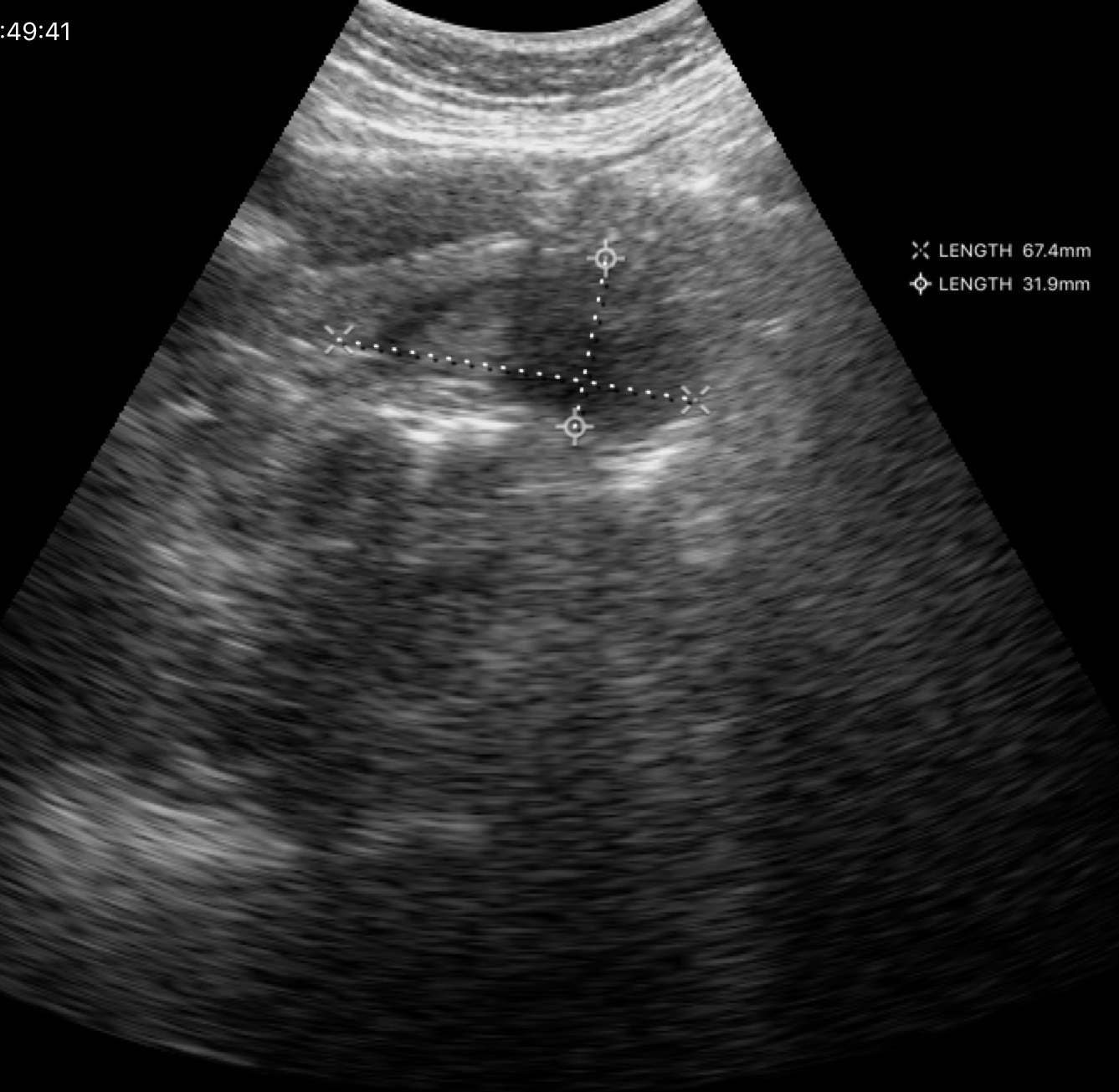
* modality — genitourinary ultrasound